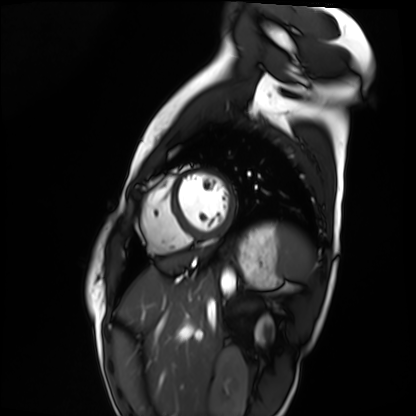
| field | value |
|---|---|
| modality | cardiac MRI |
| subject group | healthy volunteer |